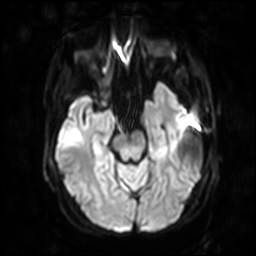
Clinical context:
3 Tesla brain MRI. Series: diffusion-weighted imaging with SENSE (WIP). Study: ring-enhancing brain masses.